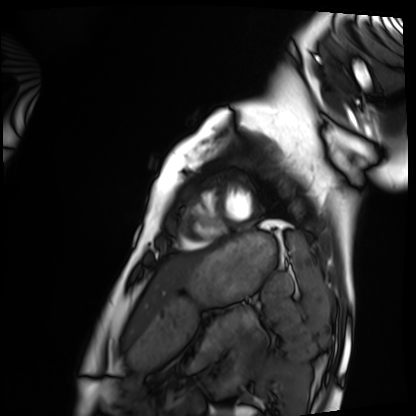
Clinical context: Cardiac MRI. Subject group: healthy volunteer.